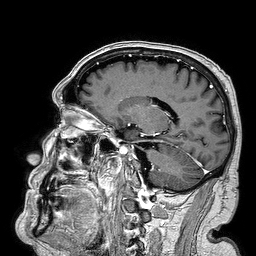
3 Tesla brain MRI. Series: 3D T1-weighted turbo field echo. Study: ring-enhancing brain masses.